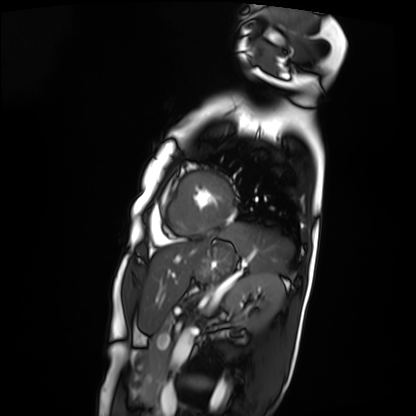
modality = cardiac MRI | subject group = patient.